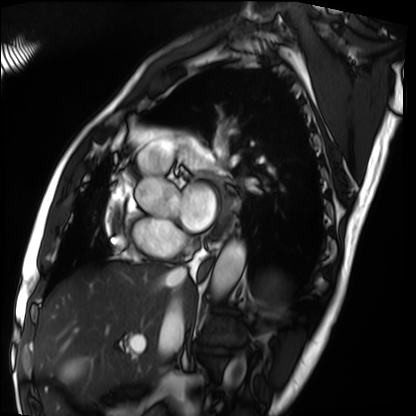
Cardiac MRI. Subject group: patient.